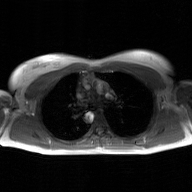
2D phase-contrast cine MRI of the ascending aorta, GAN super-resolution reconstruction.